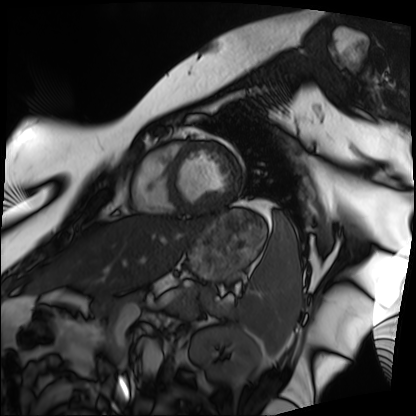
– modality — cardiac MRI
– subject group — patient